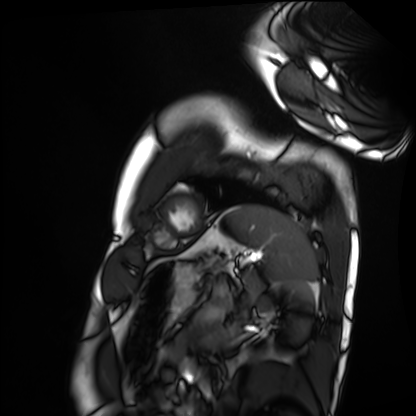
Cardiac MRI.
Subject group: healthy volunteer.